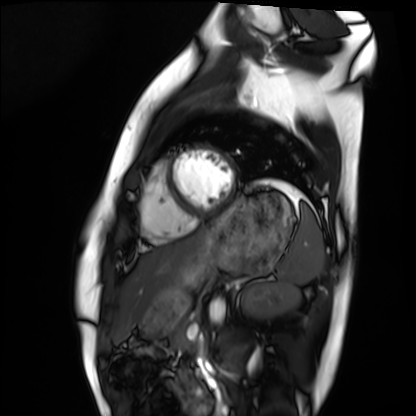
modality: cardiac MRI, subject group: healthy volunteer.